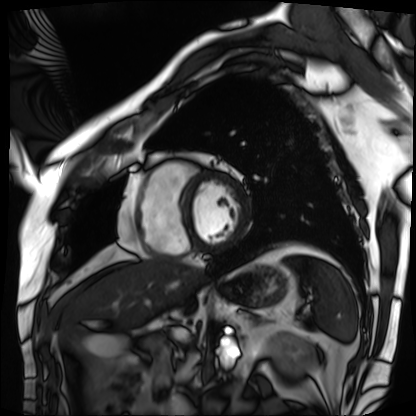
Cardiac MRI.
Subject group: patient.